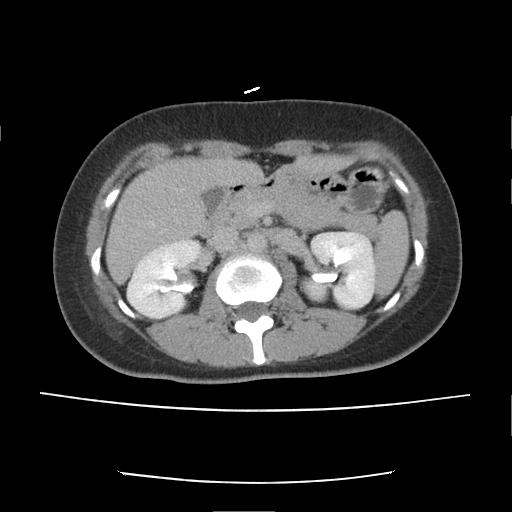
* modality — multiphase abdominal CT, liver, delayed phase
* patient — female, age 38
* history — prior chemotherapy